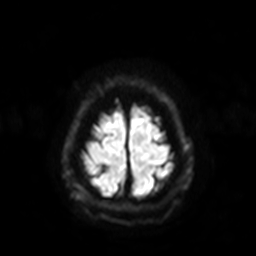
Clinical context: 3 Tesla brain MRI. Series: diffusion-weighted imaging with SENSE (WIP). Study: ring-enhancing brain masses.